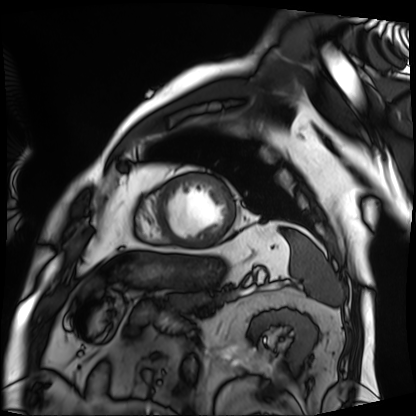
Clinical context:
Cardiac MRI. Subject group: patient.